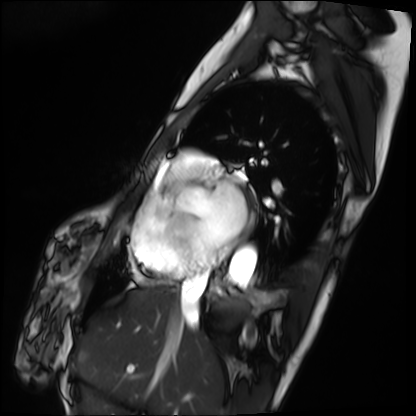
modality = cardiac MRI | subject group = patient.